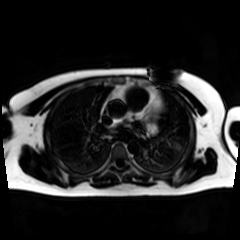
Chemical-shift-encoded cardiac MRI.